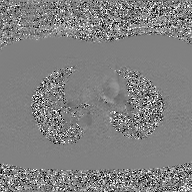
2D phase-contrast cine MRI of the ascending aorta, GAN super-resolution reconstruction.